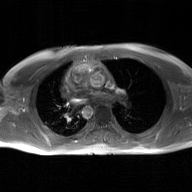
{"modality": {"type": "2D phase-contrast cine MRI", "region": "ascending aorta", "reconstruction": "GAN super-resolution reconstruction"}}